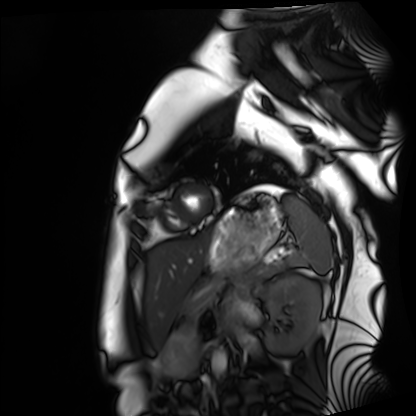
- modality · cardiac MRI
- subject group · healthy volunteer